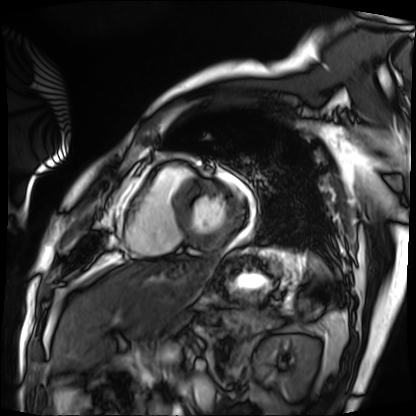
Cardiac MRI. Subject group: patient.